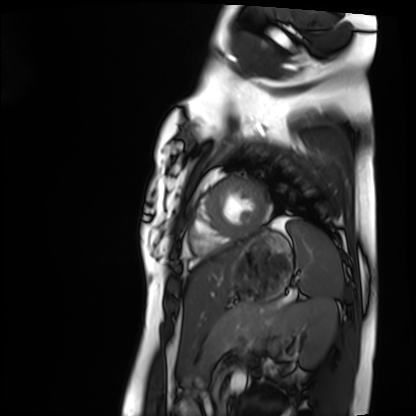
  modality: cardiac MRI
  cohort: healthy volunteer